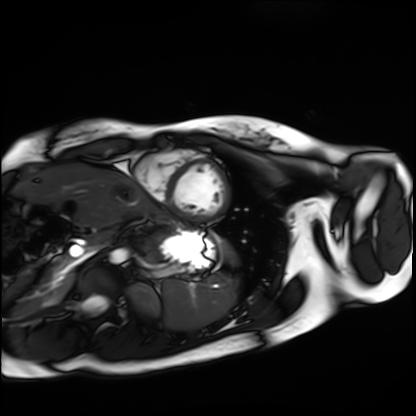
modality = cardiac MRI
subject group = healthy volunteer